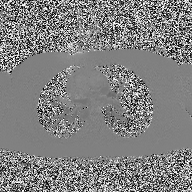
Case summary: 2D phase-contrast cine MRI of the ascending aorta, high-resolution GRAPPA acquisition.